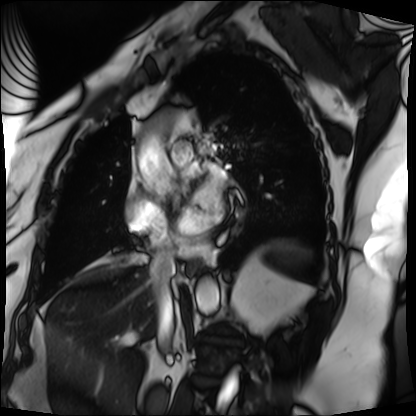
Cardiac MRI. Subject group: patient.